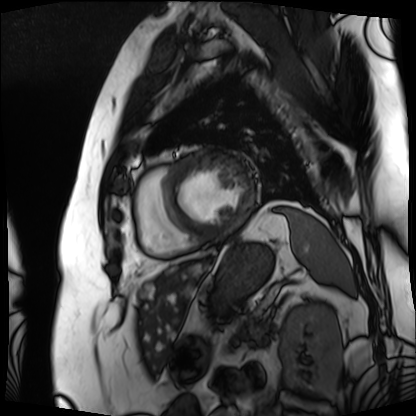
modality = cardiac MRI
subject group = patient